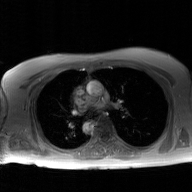
Summary:
2D phase-contrast cine MRI of the ascending aorta, GAN super-resolution reconstruction.